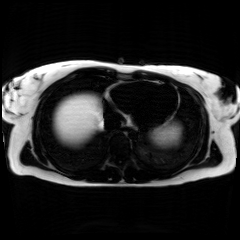
Chemical-shift-encoded cardiac MRI.